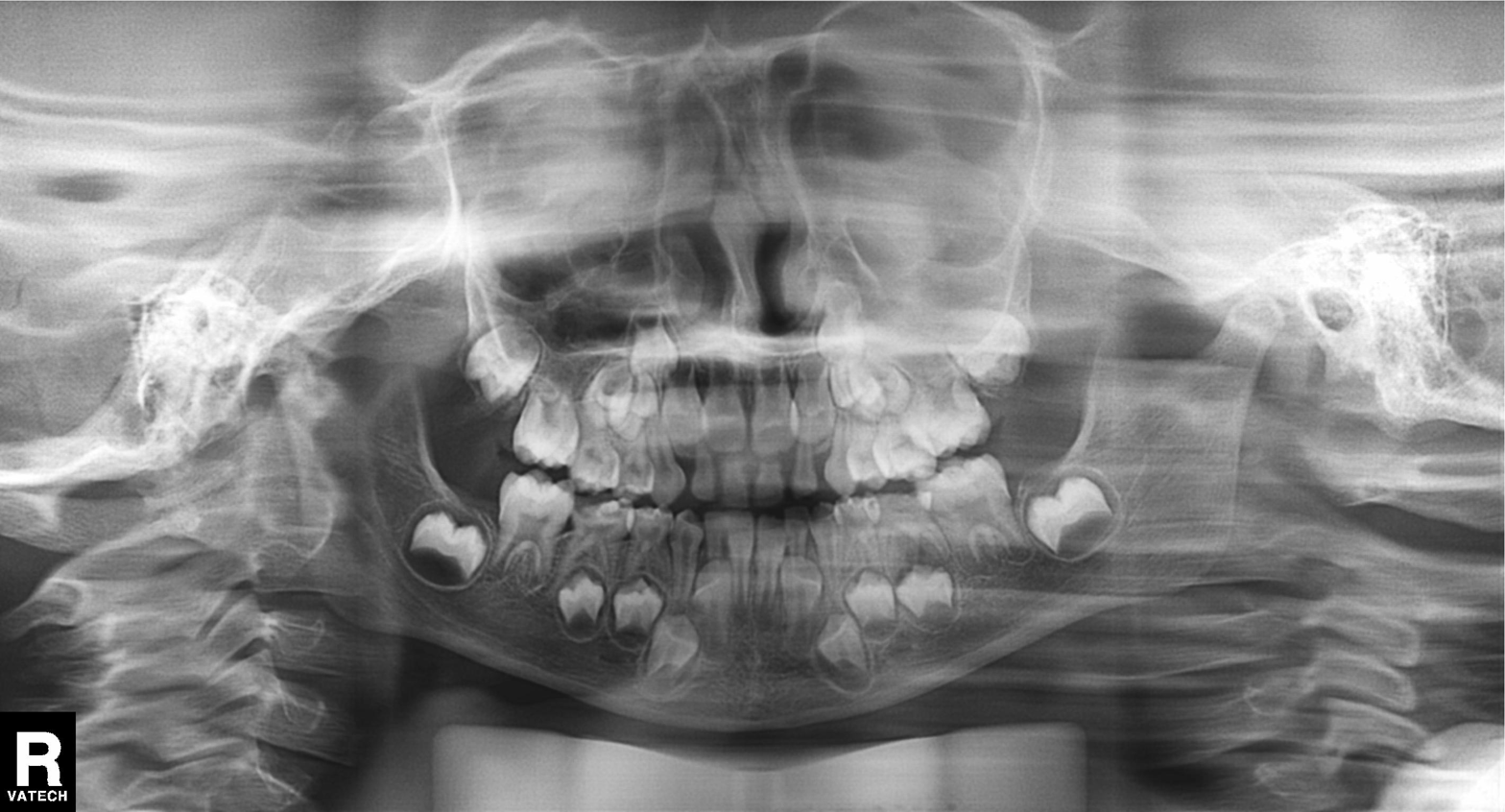
{
  "modality": "panoramic dental radiograph (orthopantomogram)",
  "finding": "alveolar bone loss"
}